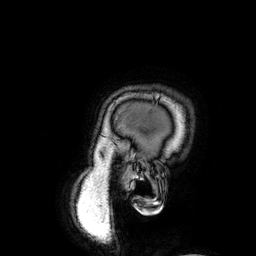
Summary:
3 Tesla brain MRI. Series: 3D T1-weighted. Study: ring-enhancing brain masses.